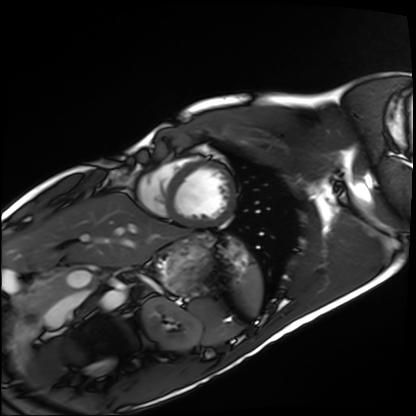
{
  "modality": "cardiac MRI",
  "cohort": "healthy volunteer"
}